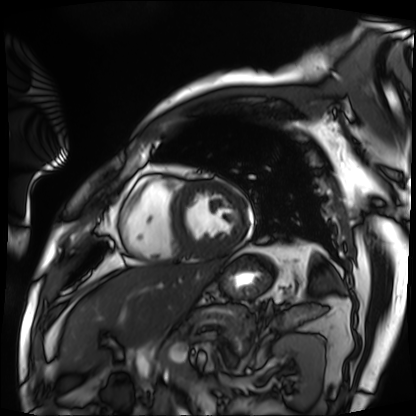
Q: What kind of scan is this?
A: Cardiac MRI.
Subject group: patient.